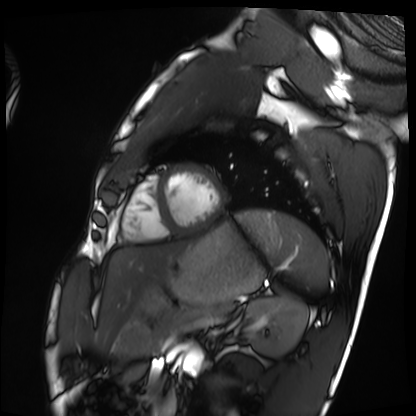
Cardiac MRI.
Subject group: healthy volunteer.